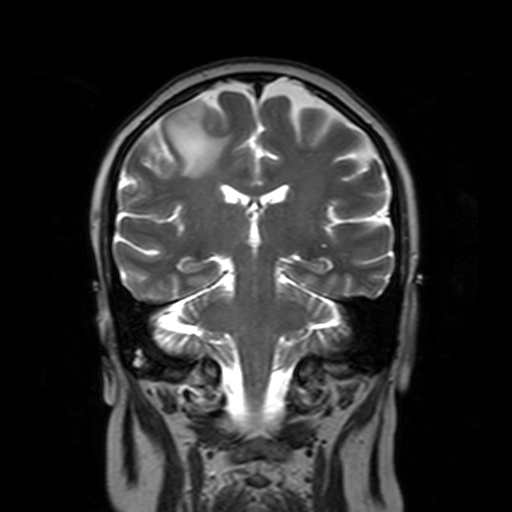
Summary: 3 Tesla brain MRI. Study: ring-enhancing brain masses.